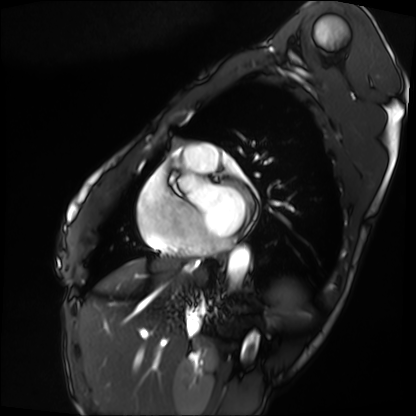
Cardiac MRI. Subject group: patient.